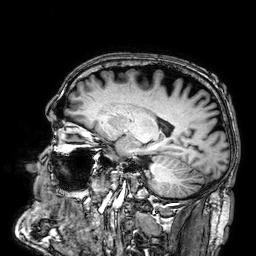
Case:
– modality: 3 Tesla brain MRI
– series: 3D T1-weighted
– study: ring-enhancing brain masses